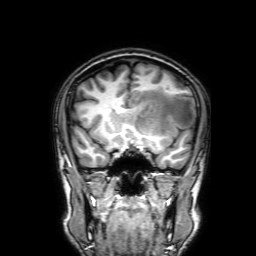
<case>
  <modality>
    <type>brain MRI</type>
    <field_strength>3T</field_strength>
  </modality>
  <series>3D T1-weighted with SENSE</series>
  <study_topic>ring-enhancing brain masses</study_topic>
</case>